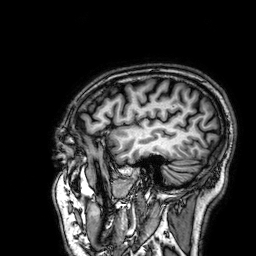
3 Tesla brain MRI.
Series: 3D T1-weighted.
Study: ring-enhancing brain masses.